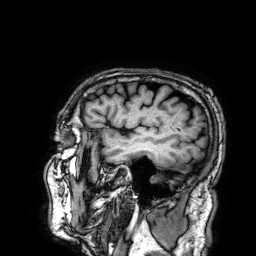
Summary:
3 Tesla brain MRI. Series: 3D T1-weighted. Study: ring-enhancing brain masses.